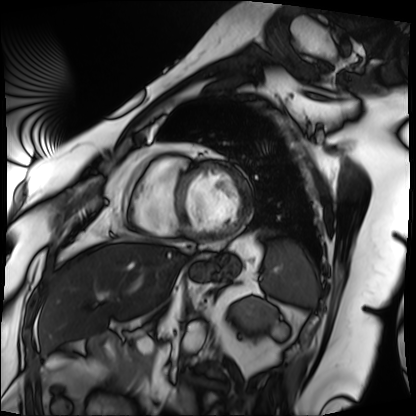
modality: cardiac MRI; subject group: patient.